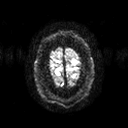
modality = 3 Tesla brain MRI; series = diffusion tensor imaging (medium iso); study = ring-enhancing brain masses.